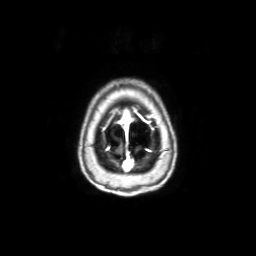
modality: 3 Tesla brain MRI
study: ring-enhancing brain masses